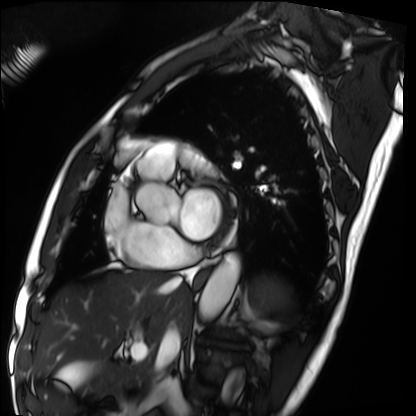
Summary:
Cardiac MRI. Subject group: patient.